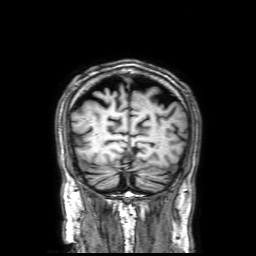
3 Tesla brain MRI.
Series: 3D T1-weighted with SENSE.
Study: ring-enhancing brain masses.